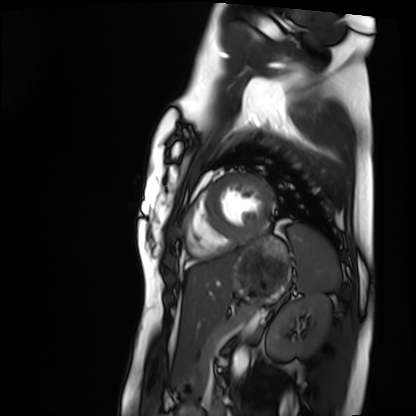
Cardiac MRI. Subject group: healthy volunteer.